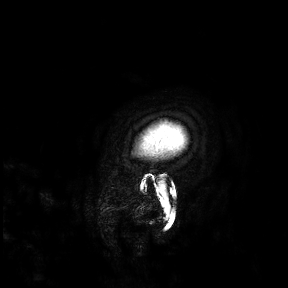
modality: 3 Tesla brain MRI | study: ring-enhancing brain masses.